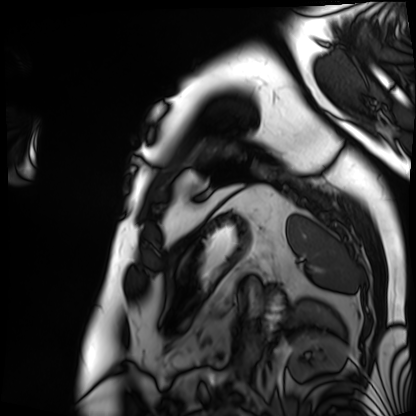
– modality — cardiac MRI
– subject group — patient